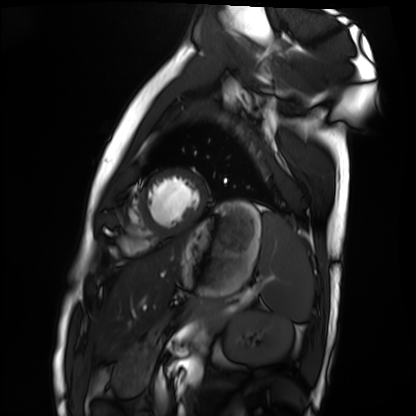
modality: cardiac MRI; subject group: healthy volunteer.